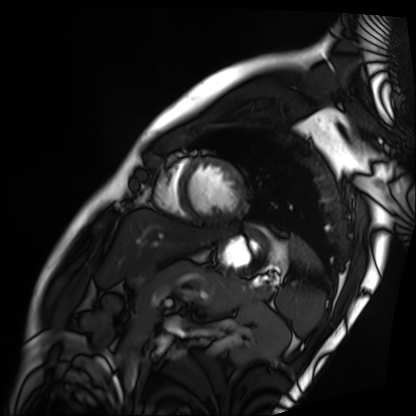
modality = cardiac MRI
subject group = patient